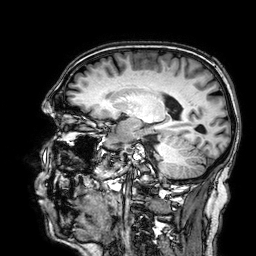
Summary:
3 Tesla brain MRI. Study: ring-enhancing brain masses.